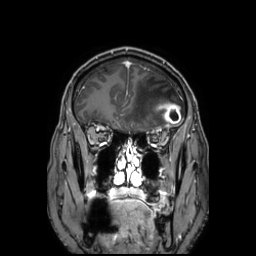
3 Tesla brain MRI. Series: 3D T1-weighted TFE with SENSE. Study: ring-enhancing brain masses.